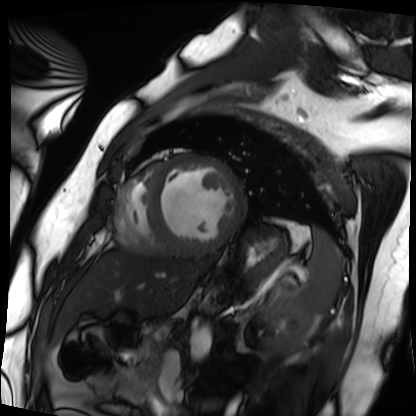
Summary: Cardiac MRI. Subject group: patient.